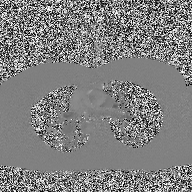
Summary: 2D phase-contrast cine MRI of the ascending aorta, high-resolution GRAPPA acquisition.